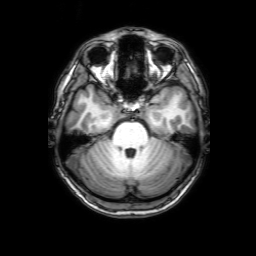
3 Tesla brain MRI. Series: 3D T1-weighted with SENSE. Study: ring-enhancing brain masses.